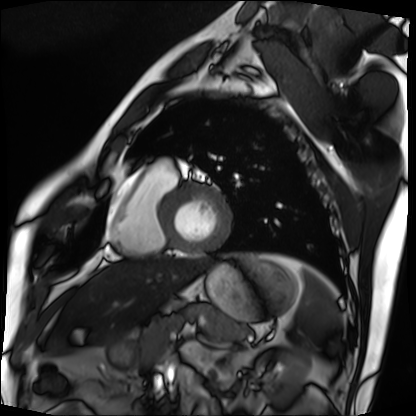
Q: What kind of scan is this?
A: Cardiac MRI.
Subject group: patient.